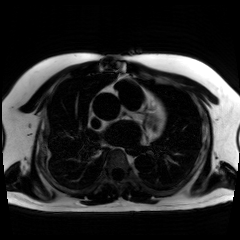
modality: chemical-shift-encoded cardiac MRI